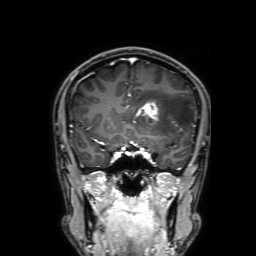
Summary:
3 Tesla brain MRI. Series: 3D T1-weighted with SENSE. Study: ring-enhancing brain masses.